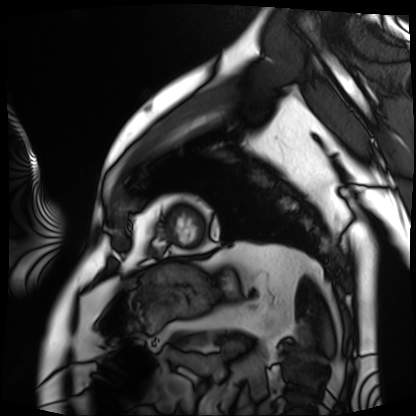
modality = cardiac MRI | subject group = patient.